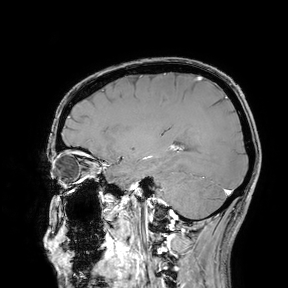
Q: What kind of scan is this?
A: 3 Tesla brain MRI.
Study: ring-enhancing brain masses.